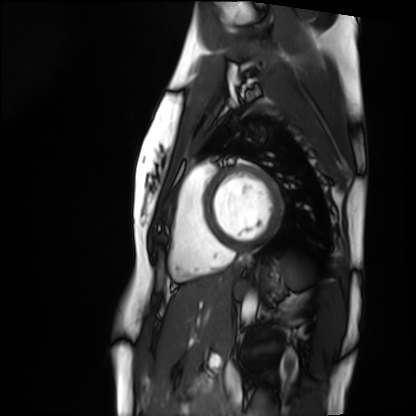
Cardiac MRI. Subject group: healthy volunteer.